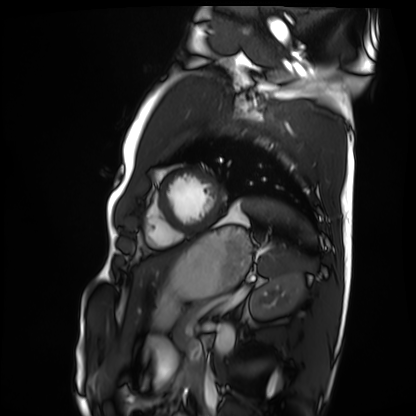
modality: cardiac MRI | subject group: healthy volunteer.